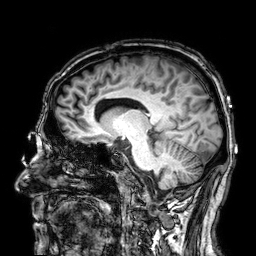
3 Tesla brain MRI. Series: 3D T1-weighted. Study: ring-enhancing brain masses.